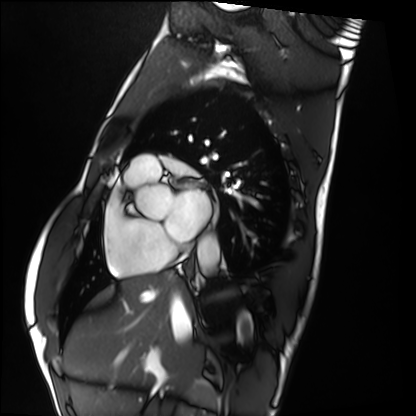
Cardiac MRI.
Subject group: healthy volunteer.